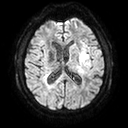
3 Tesla brain MRI. Series: diffusion tensor imaging (medium iso). Study: ring-enhancing brain masses.